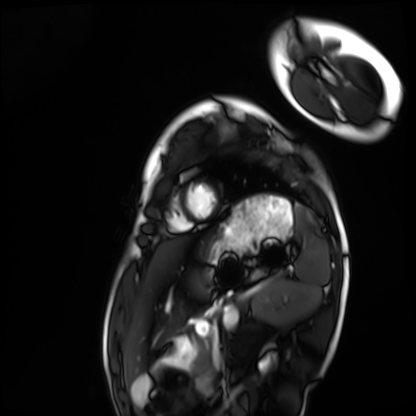
modality: cardiac MRI | subject group: healthy volunteer.